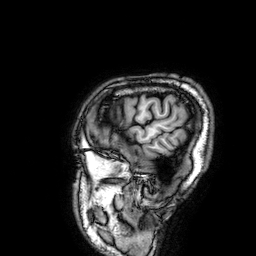
3 Tesla brain MRI.
Series: 3D T1-weighted.
Study: ring-enhancing brain masses.